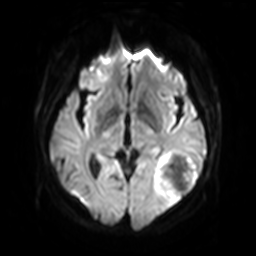
modality = 3 Tesla brain MRI
series = diffusion-weighted imaging with SENSE (WIP)
study = ring-enhancing brain masses